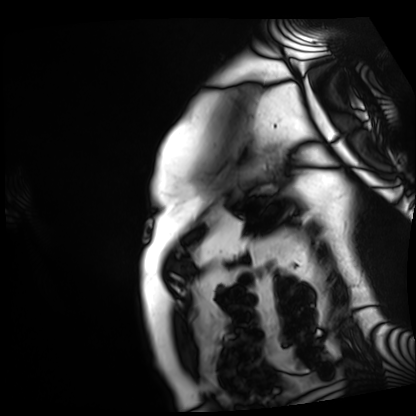
{
  "modality": "cardiac MRI",
  "cohort": "patient"
}